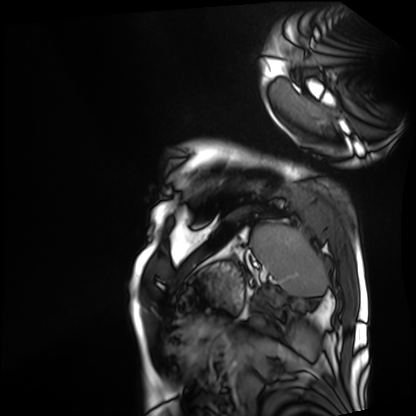
* modality · cardiac MRI
* subject group · patient